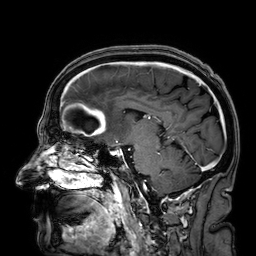
{
  "modality": {
    "type": "brain MRI",
    "field_strength": "3T"
  },
  "series": "3D T1-weighted",
  "study_topic": "ring-enhancing brain masses"
}